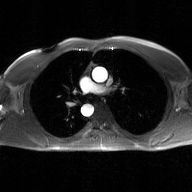
Clinical context:
2D phase-contrast cine MRI of the ascending aorta, GAN super-resolution reconstruction.